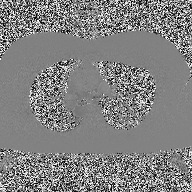
2D phase-contrast cine MRI of the ascending aorta, high-resolution GRAPPA acquisition.